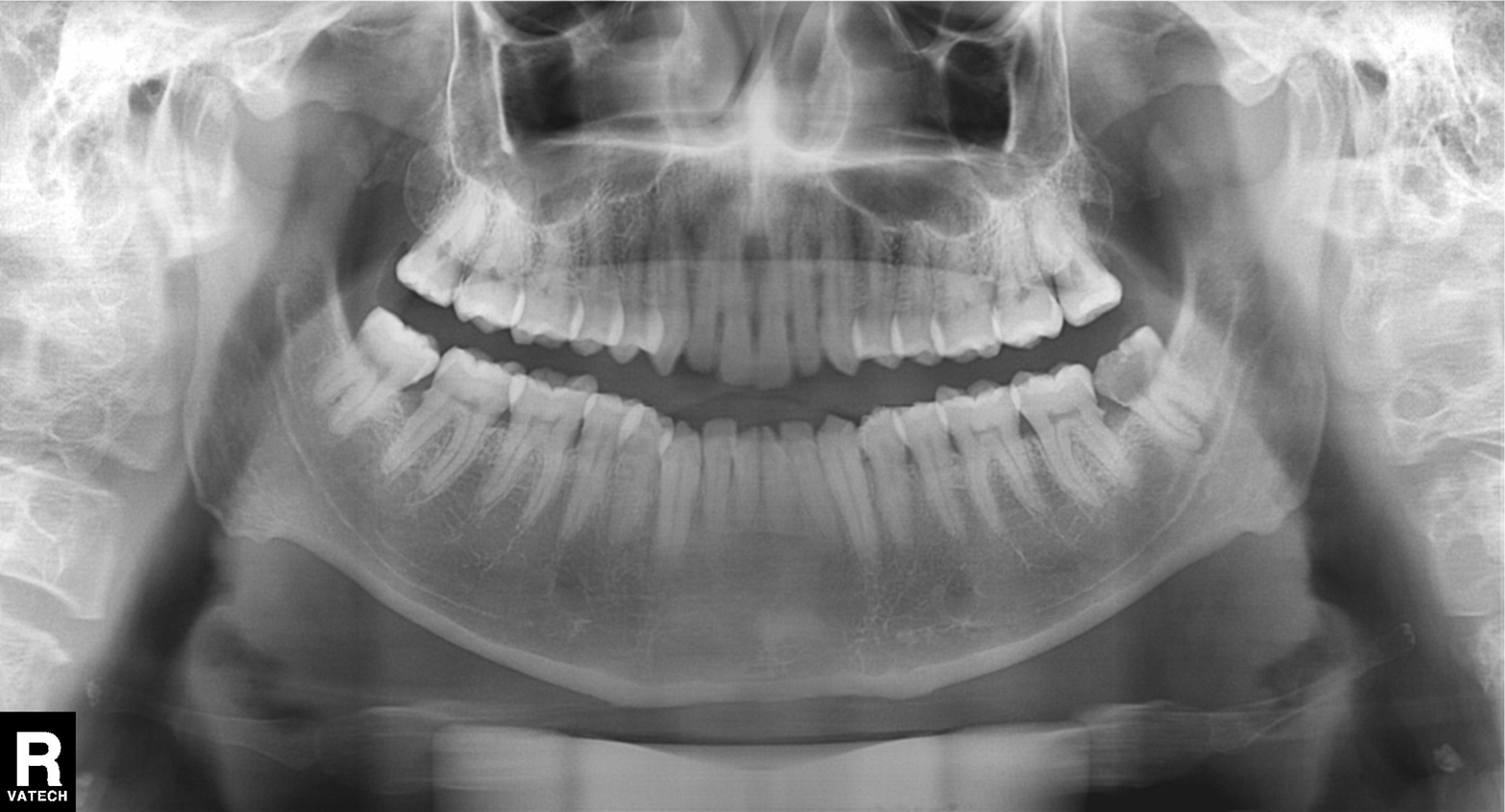
modality — panoramic dental radiograph (orthopantomogram)
finding — dental caries (cavities)